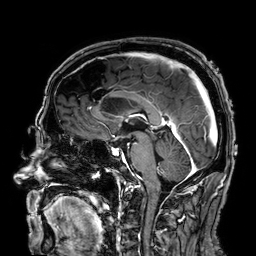
| field | value |
|---|---|
| modality | 3 Tesla brain MRI |
| series | 3D T1-weighted |
| study | ring-enhancing brain masses |